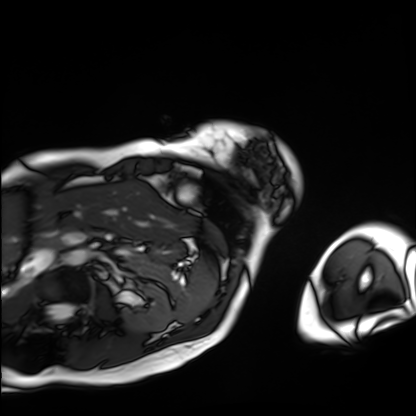
modality = cardiac MRI | subject group = patient.